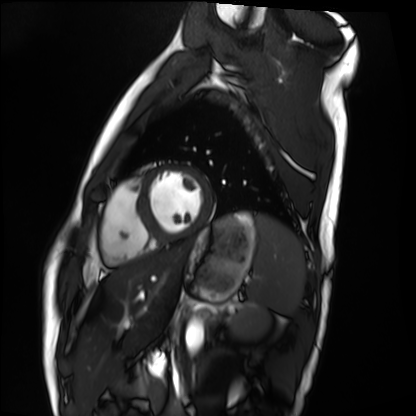
Cardiac MRI.
Subject group: healthy volunteer.